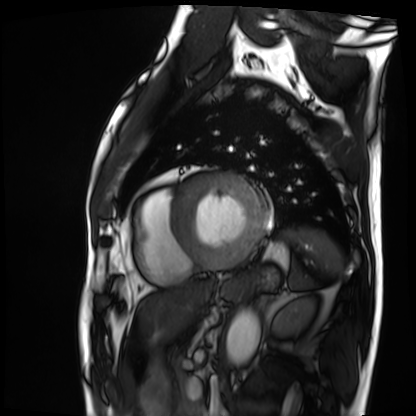
modality = cardiac MRI, subject group = patient.